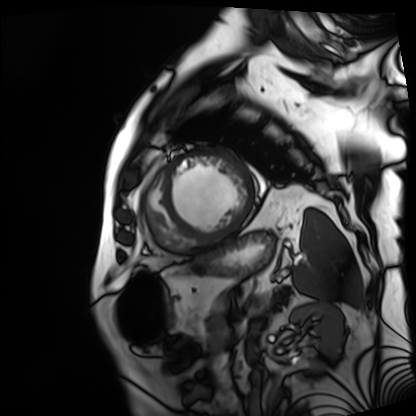
Cardiac MRI.
Subject group: patient.